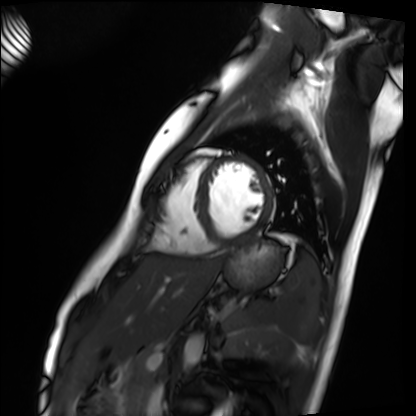
Clinical context:
Cardiac MRI. Subject group: healthy volunteer.